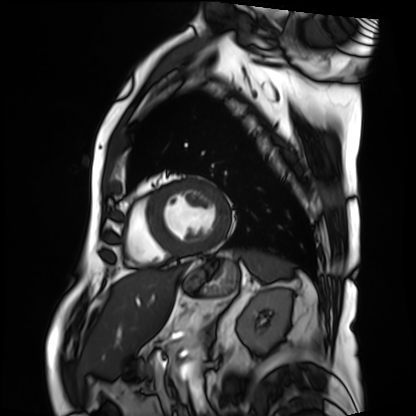
Cardiac MRI. Subject group: patient.